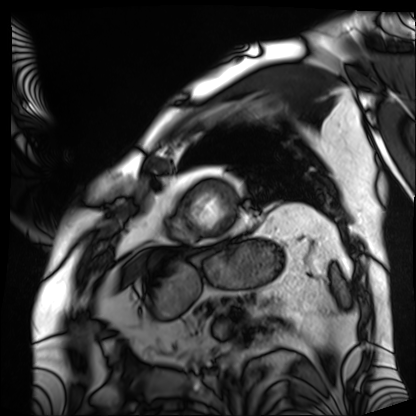
Q: What kind of scan is this?
A: Cardiac MRI.
Subject group: patient.